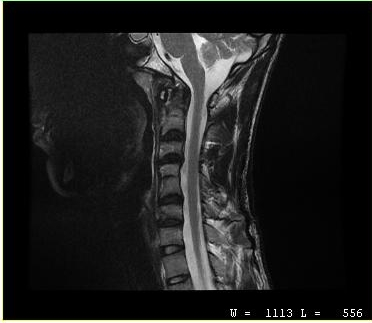
| field | value |
|---|---|
| modality | MRI of the cervical spine |
| study | cervical spondylosis |